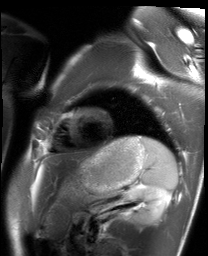
Summary: Cardiac MRI. Subject group: healthy volunteer.